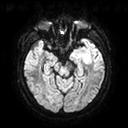
Clinical context:
3 Tesla brain MRI. Series: diffusion tensor imaging (medium iso). Study: ring-enhancing brain masses.